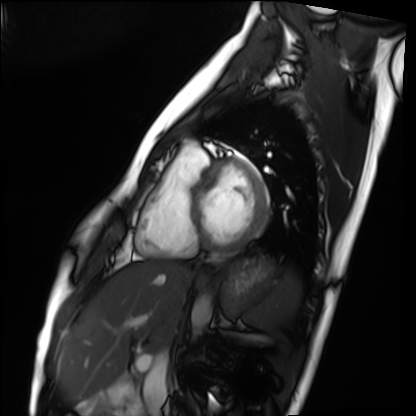
Cardiac MRI. Subject group: healthy volunteer.